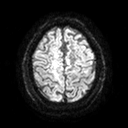
modality = 3 Tesla brain MRI; series = diffusion tensor imaging (medium iso); study = ring-enhancing brain masses.